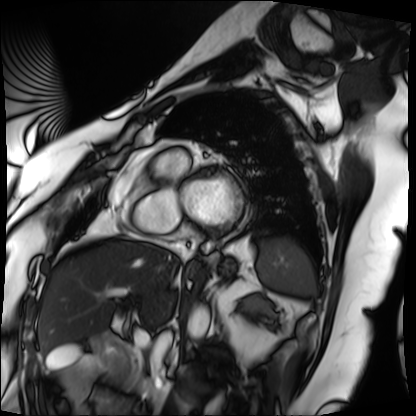
Q: What kind of scan is this?
A: Cardiac MRI.
Subject group: patient.